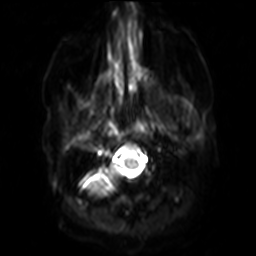
3 Tesla brain MRI. Series: diffusion-weighted imaging with SENSE (WIP). Study: ring-enhancing brain masses.